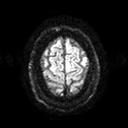
3 Tesla brain MRI.
Series: diffusion tensor imaging (medium iso).
Study: ring-enhancing brain masses.